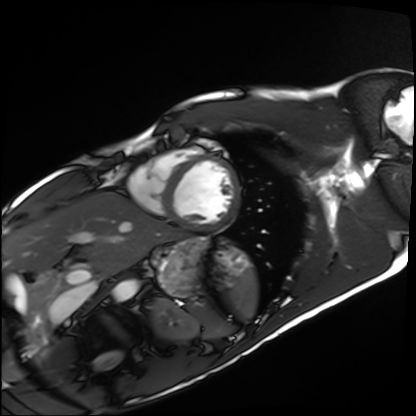
modality: cardiac MRI, subject group: healthy volunteer.